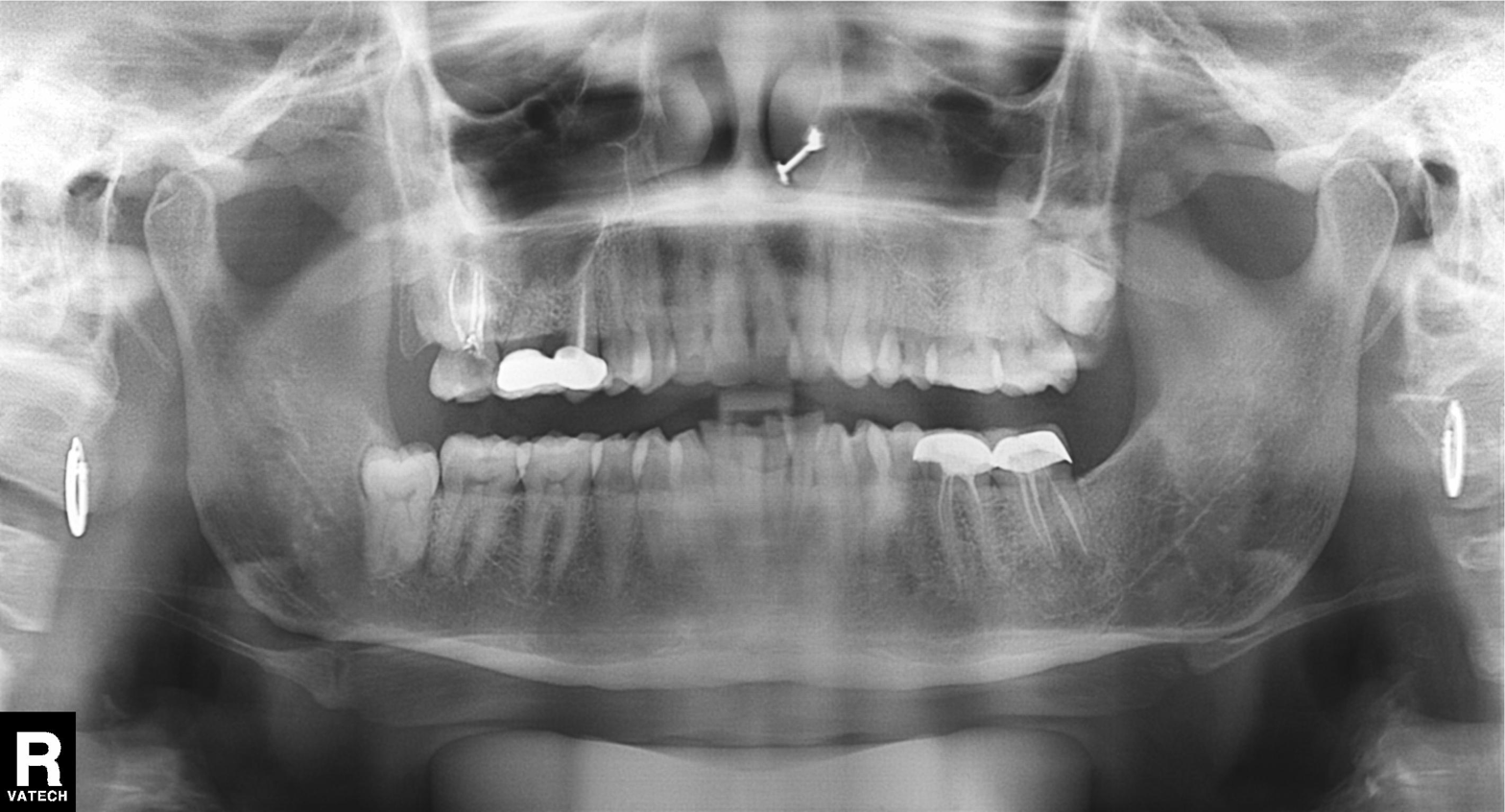
Q: What kind of scan is this?
A: Panoramic dental radiograph (orthopantomogram).
Q: What is the radiographic finding?
A: Dental caries (cavities).